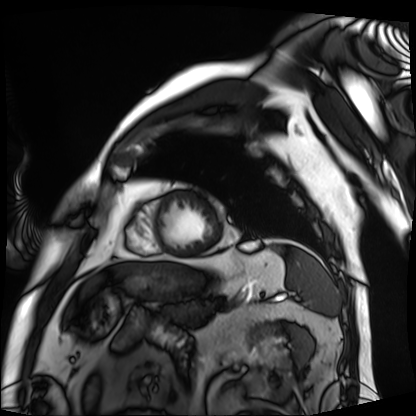
Cardiac MRI.
Subject group: patient.